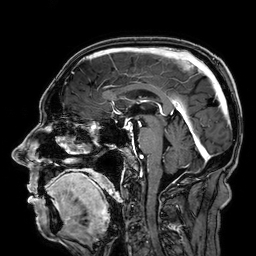
modality=3 Tesla brain MRI | series=3D T1-weighted | study=ring-enhancing brain masses.